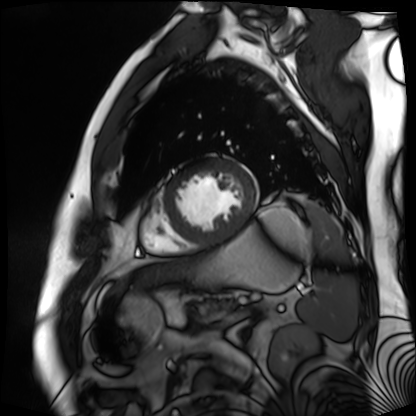
Q: What kind of scan is this?
A: Cardiac MR image of the myocardium.
Subject cohort: cardiac patient.